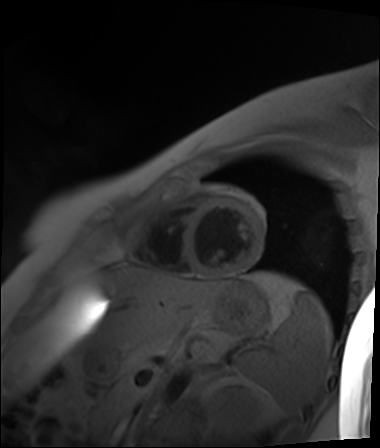
– modality: cardiac MR image of the myocardium
– subject cohort: healthy volunteer